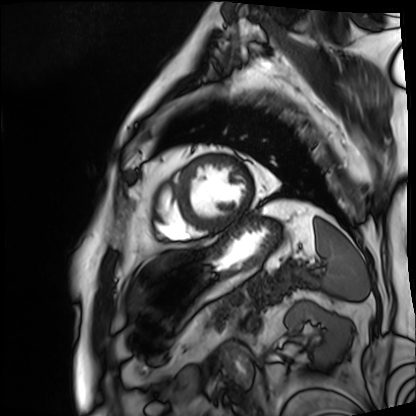
{"modality": "cardiac MRI", "cohort": "patient"}